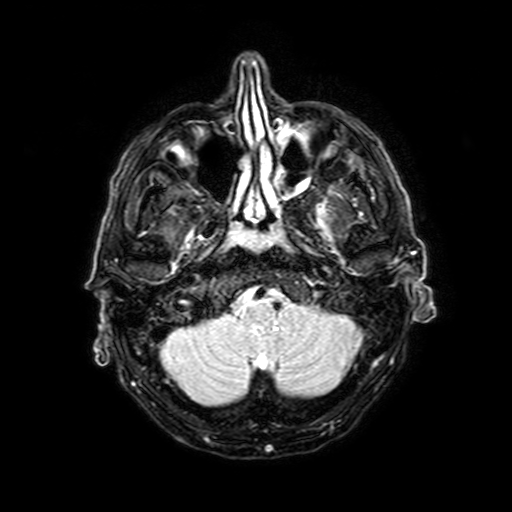
modality = 3 Tesla brain MRI; series = FLAIR with SPAIR, 3 mm; study = ring-enhancing brain masses.